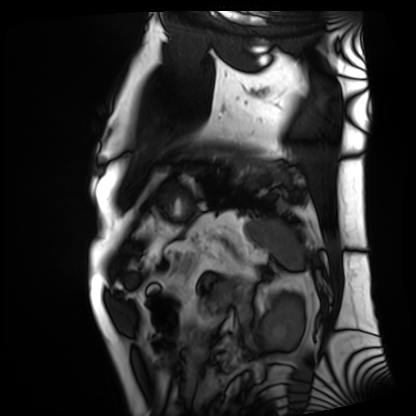
Cardiac MRI. Subject group: patient.